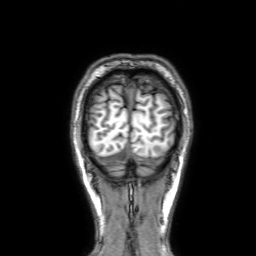
3 Tesla brain MRI. Series: 3D T1-weighted with SENSE. Study: ring-enhancing brain masses.